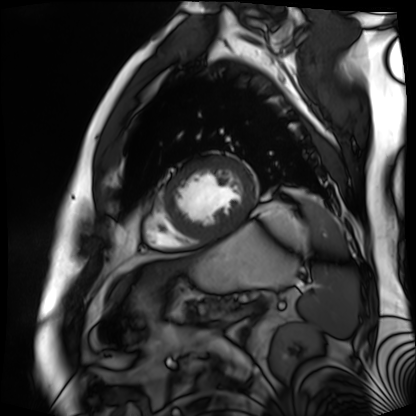
Cardiac MR image of the myocardium. Subject cohort: cardiac patient.